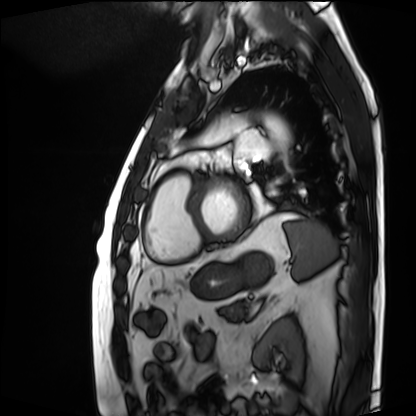
modality — cardiac MRI
subject group — patient